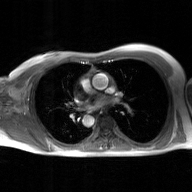
2D phase-contrast cine MRI of the ascending aorta, GAN super-resolution reconstruction.